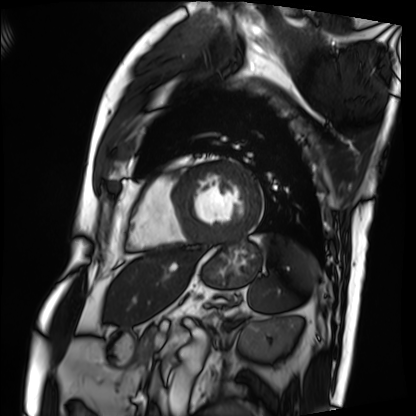
* modality: cardiac MRI
* subject group: patient